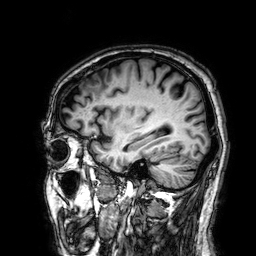
3 Tesla brain MRI. Study: ring-enhancing brain masses.